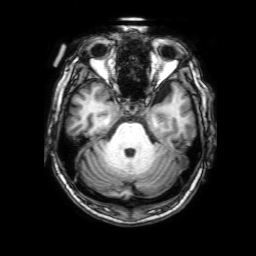
3 Tesla brain MRI.
Series: 3D T1-weighted with SENSE.
Study: ring-enhancing brain masses.